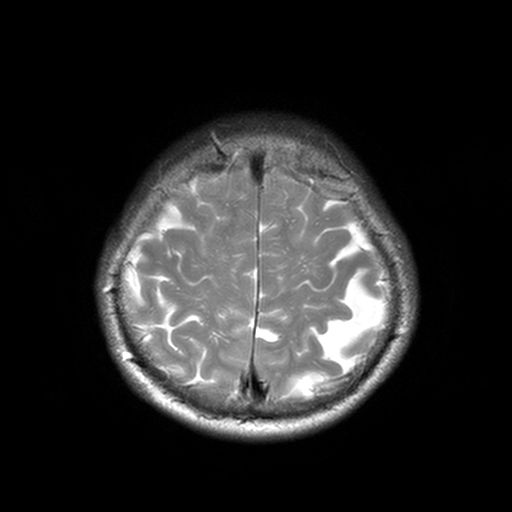
3 Tesla brain MRI. Series: T2-weighted turbo spin echo, 3 mm. Study: ring-enhancing brain masses.